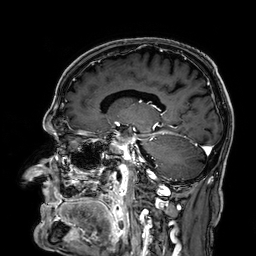
3 Tesla brain MRI. Series: 3D T1-weighted. Study: ring-enhancing brain masses.